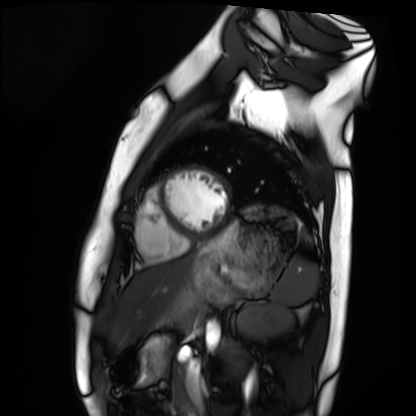
Q: What kind of scan is this?
A: Cardiac MRI.
Subject group: healthy volunteer.